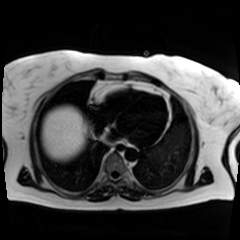
Q: What kind of scan is this?
A: Chemical-shift-encoded cardiac MRI.